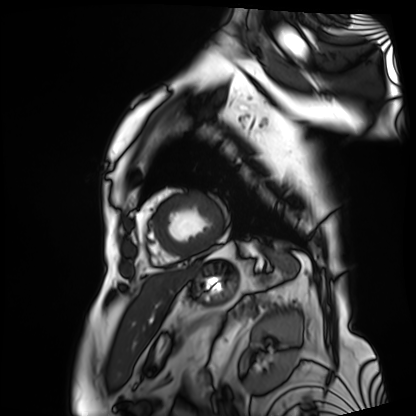
modality: cardiac MRI
subject group: patient